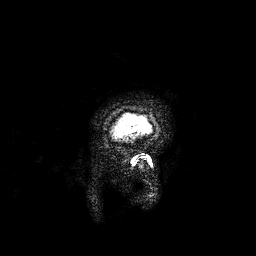
3 Tesla brain MRI. Series: 3D T1-weighted. Study: ring-enhancing brain masses.